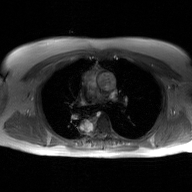
Summary: 2D phase-contrast cine MRI of the ascending aorta, GAN super-resolution reconstruction.